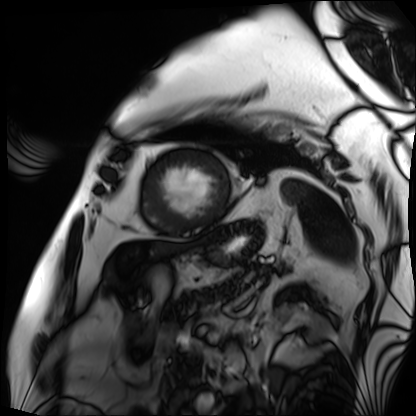
Summary:
Cardiac MRI. Subject group: patient.